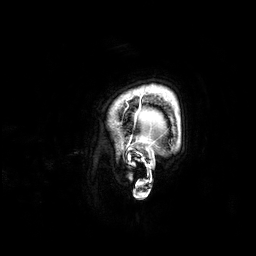
3 Tesla brain MRI. Series: 3D T1-weighted. Study: ring-enhancing brain masses.